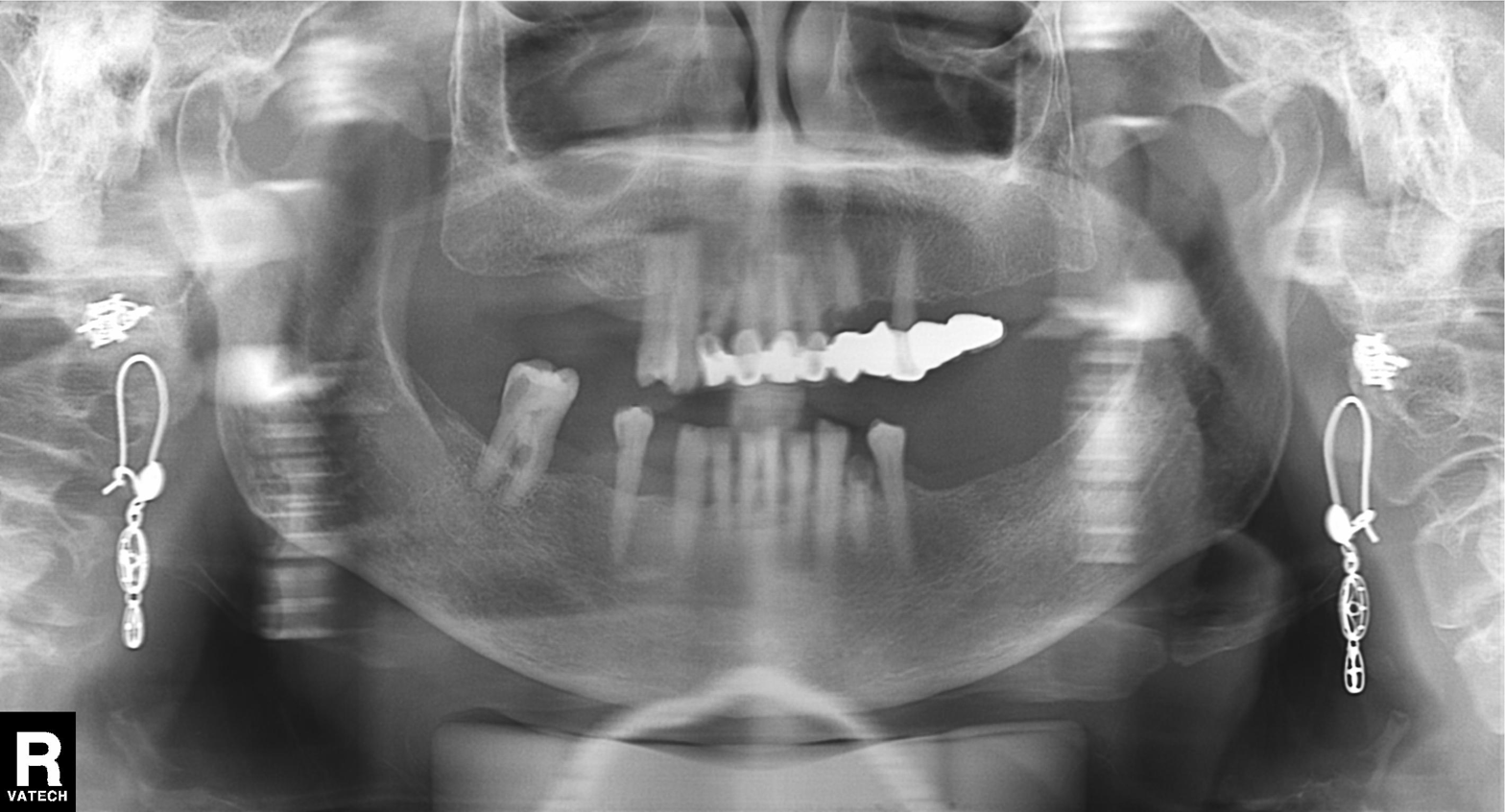
Panoramic dental radiograph (orthopantomogram). Finding: dental caries (cavities).